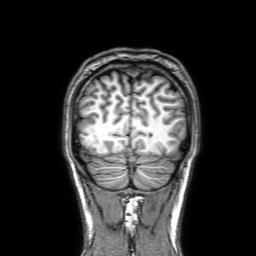
Summary:
3 Tesla brain MRI. Series: 3D T1-weighted with SENSE. Study: ring-enhancing brain masses.